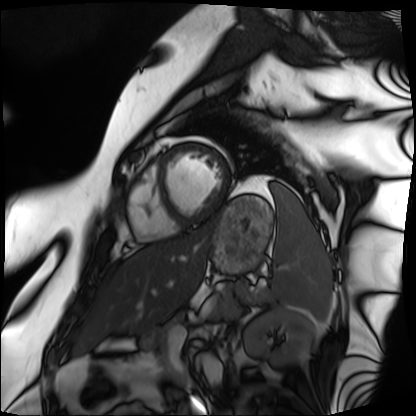
Cardiac MRI. Subject group: patient.